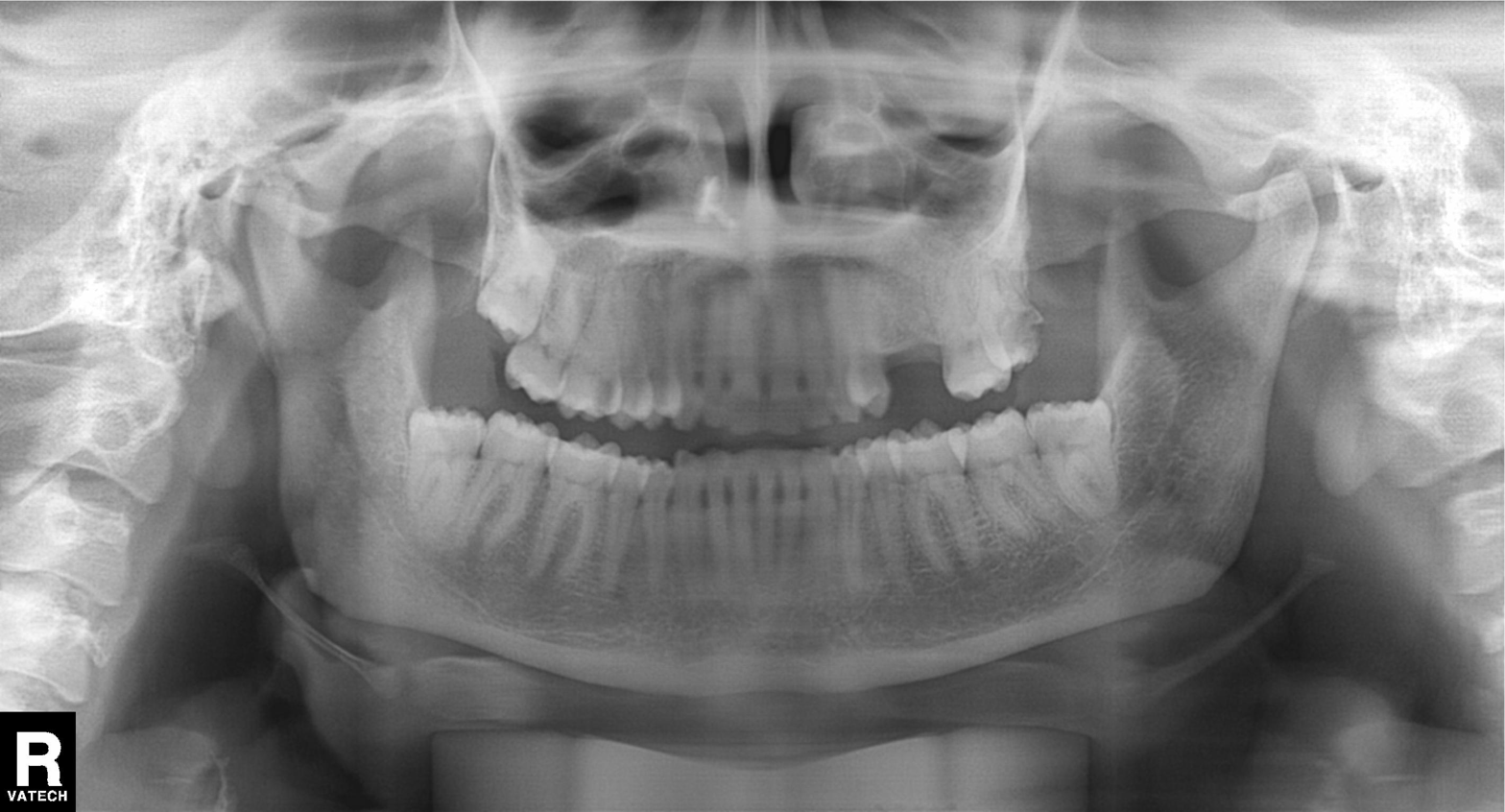
Q: What kind of scan is this?
A: Panoramic dental radiograph (orthopantomogram).
Q: What is the radiographic finding?
A: Alveolar bone loss.